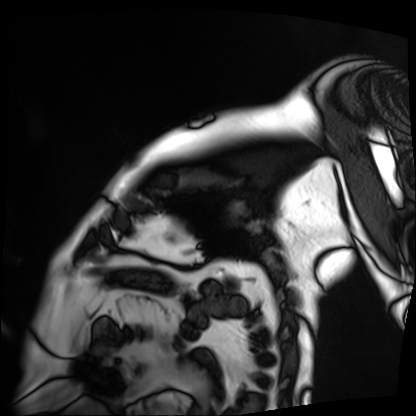
modality: cardiac MRI; subject group: patient.